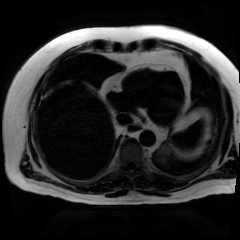
modality: chemical-shift-encoded cardiac MRI